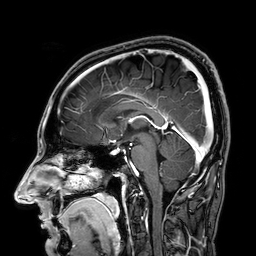
• modality: 3 Tesla brain MRI
• series: 3D T1-weighted
• study: ring-enhancing brain masses